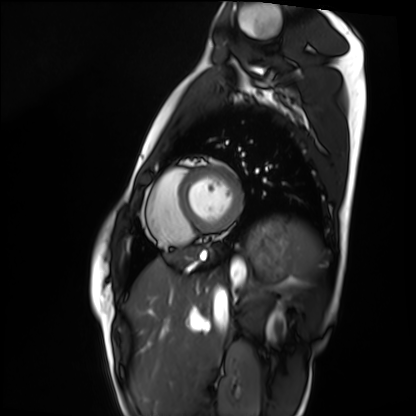
Summary:
Cardiac MRI. Subject group: healthy volunteer.